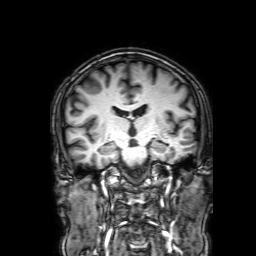
Clinical context:
3 Tesla brain MRI. Series: 3D T1-weighted with SENSE. Study: ring-enhancing brain masses.